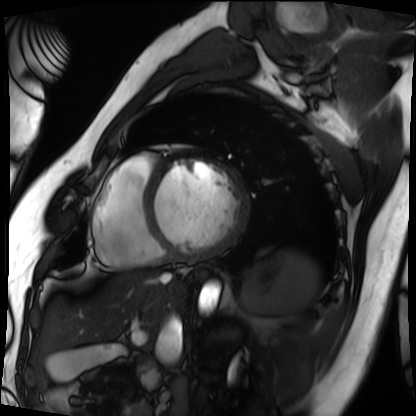
Q: What kind of scan is this?
A: Cardiac MRI.
Subject group: patient.